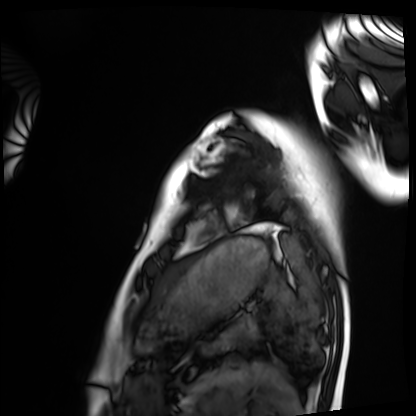
modality: cardiac MRI; subject group: healthy volunteer.